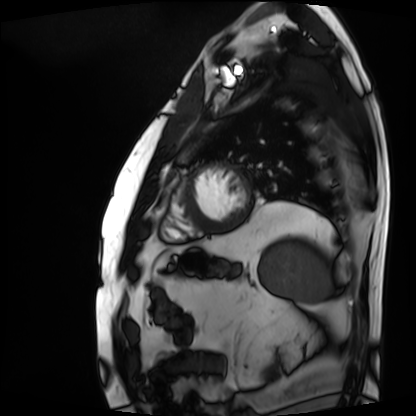
Cardiac MRI. Subject group: patient.